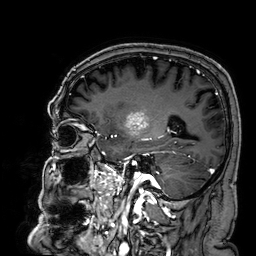
3 Tesla brain MRI.
Series: 3D T1-weighted.
Study: ring-enhancing brain masses.